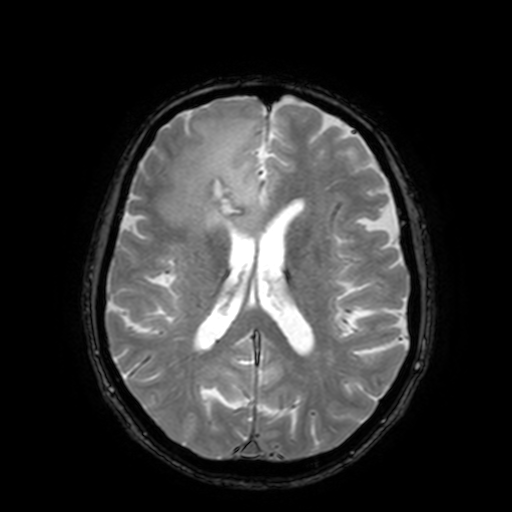
3 Tesla brain MRI. Series: T2-weighted fast field echo with SENSE. Study: ring-enhancing brain masses.